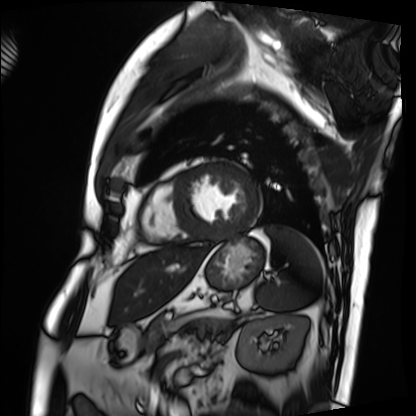
Cardiac MRI.
Subject group: patient.